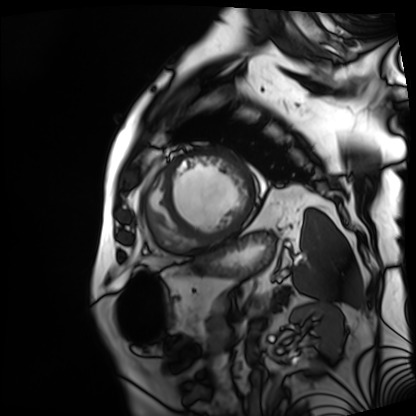
Summary: Cardiac MRI. Subject group: patient.